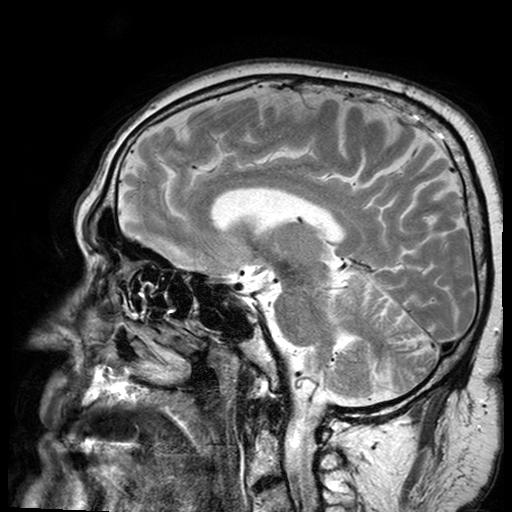
modality = 3 Tesla brain MRI; series = T2-weighted turbo spin echo with SENSE; study = ring-enhancing brain masses.